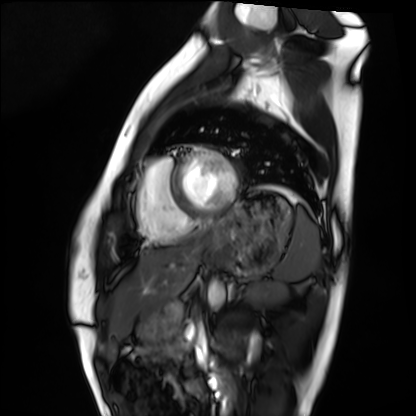
modality = cardiac MRI
subject group = healthy volunteer